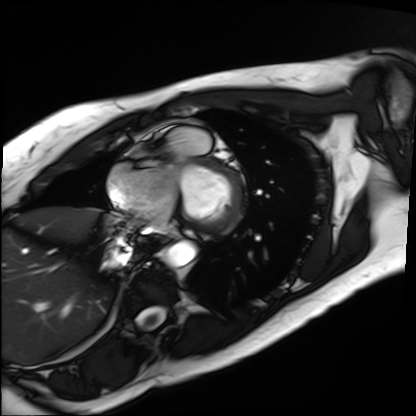
modality: cardiac MRI
cohort: patient